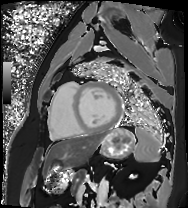
Q: What kind of scan is this?
A: Cardiac MRI.
Subject group: patient.